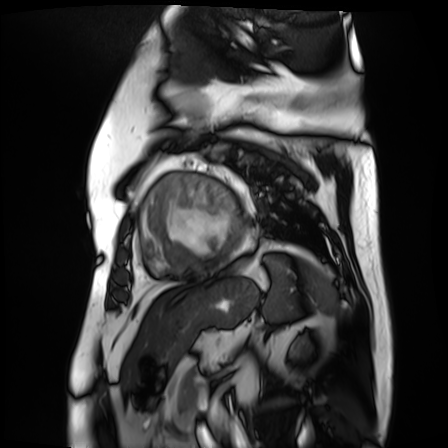
modality: cardiac MR image of the myocardium; subject cohort: cardiac patient.